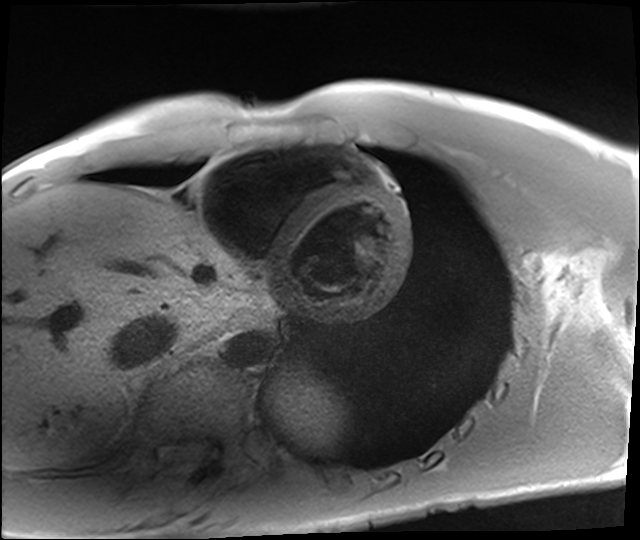
Cardiac MRI. Subject group: healthy volunteer.